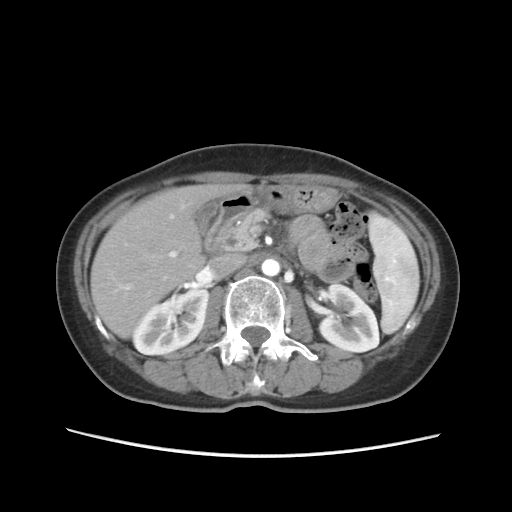
| field | value |
|---|---|
| modality | multiphase abdominal CT, liver, arterial phase |
| patient | female, age 55 |